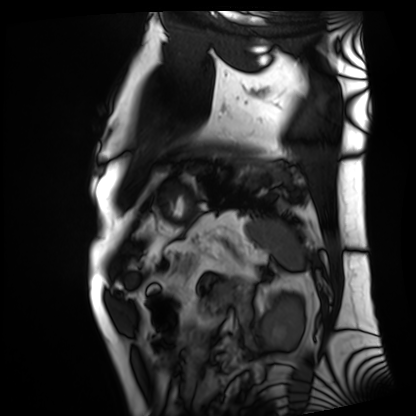
Cardiac MRI.
Subject group: patient.